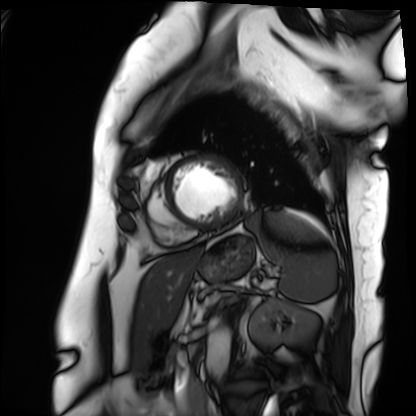
Cardiac MRI. Subject group: patient.